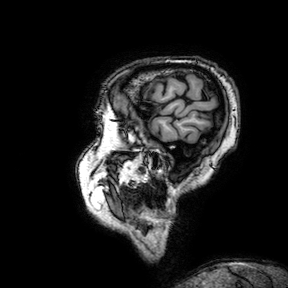
Clinical context:
3 Tesla brain MRI. Series: 3D T1-weighted turbo field echo with SENSE. Study: ring-enhancing brain masses.